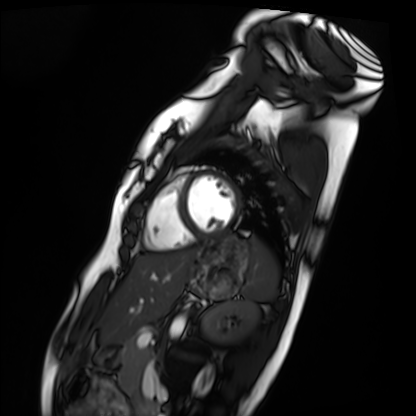
modality: cardiac MRI; subject group: healthy volunteer.